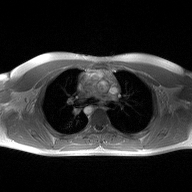
modality: 2D phase-contrast cine MRI of the ascending aorta.